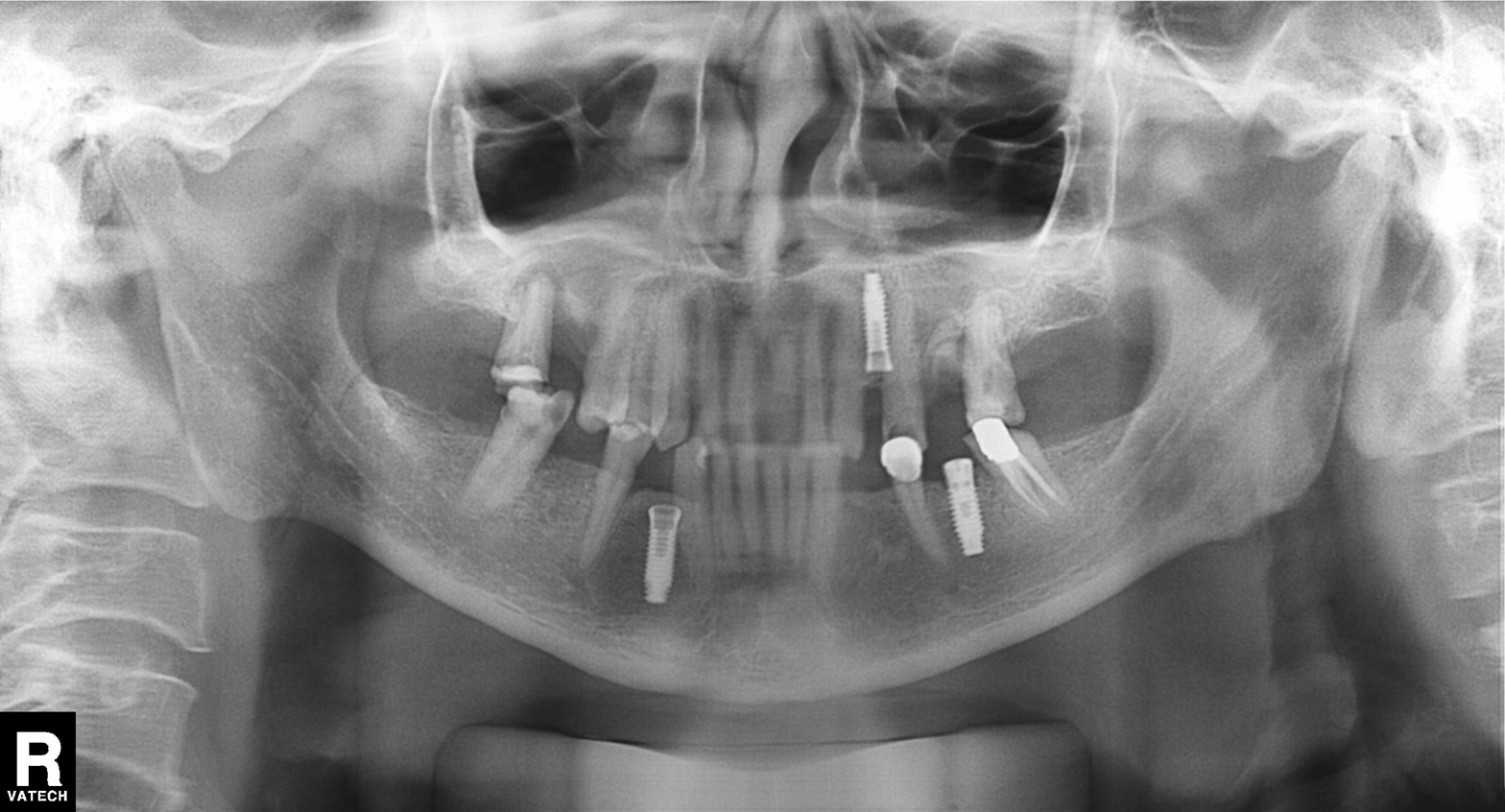
Panoramic dental radiograph (orthopantomogram).
Finding: tooth impaction.